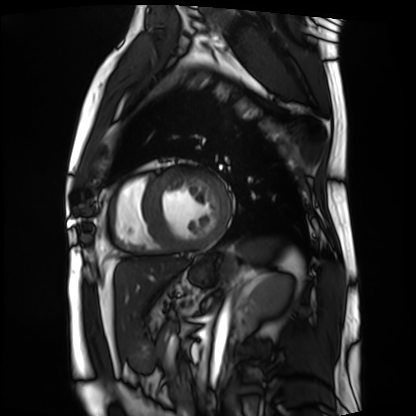
Cardiac MRI. Subject group: patient.